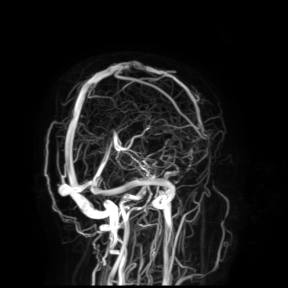
* modality: 3 Tesla brain MRI
* study: ring-enhancing brain masses